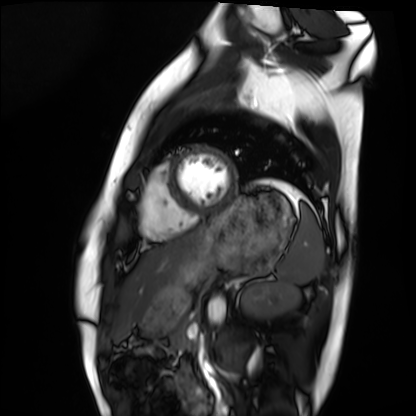
Summary:
Cardiac MRI. Subject group: healthy volunteer.